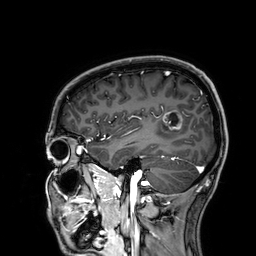
Case summary:
3 Tesla brain MRI. Series: 3D T1-weighted. Study: ring-enhancing brain masses.